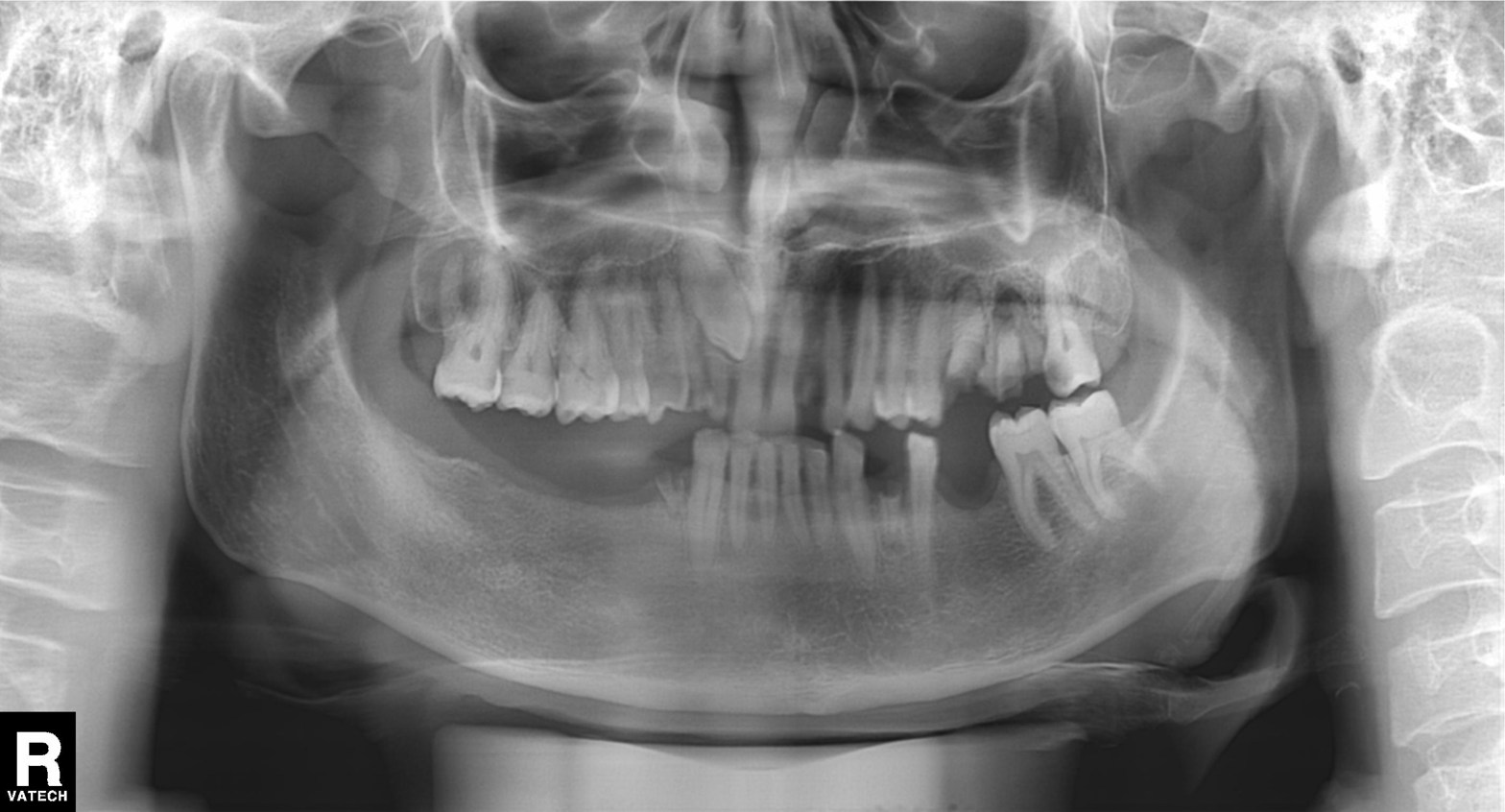
{
  "modality": "panoramic dental radiograph (orthopantomogram)",
  "finding": "tooth impaction"
}